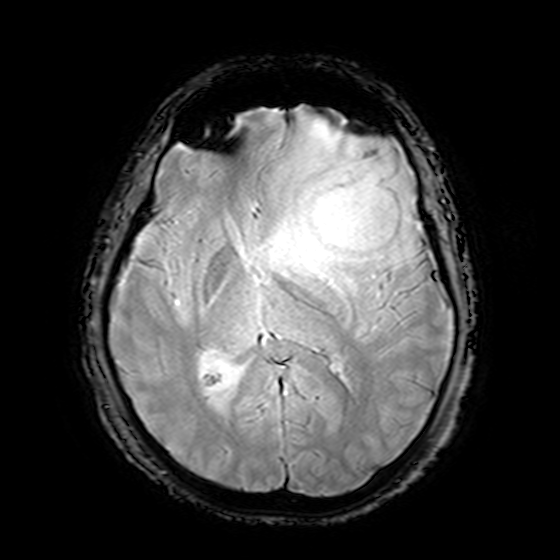
Case summary:
3 Tesla brain MRI. Study: ring-enhancing brain masses.